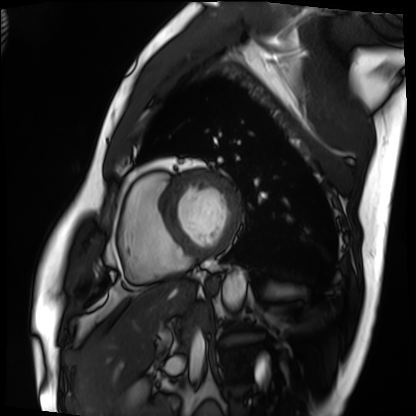
<case>
  <modality>cardiac MRI</modality>
  <cohort>patient</cohort>
</case>